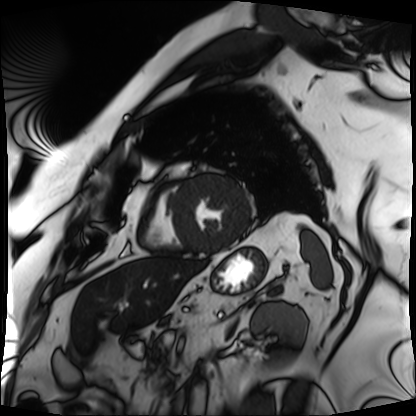
{"modality": "cardiac MRI", "cohort": "patient"}